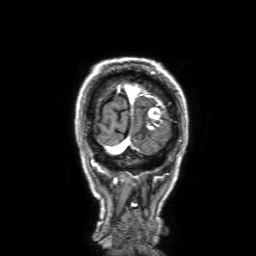
Summary:
3 Tesla brain MRI. Series: 3D T1-weighted with SENSE. Study: ring-enhancing brain masses.